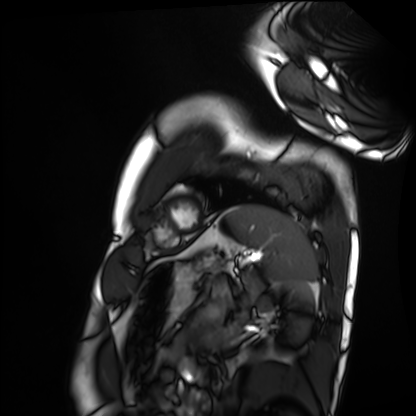
Q: What kind of scan is this?
A: Cardiac MRI.
Subject group: healthy volunteer.